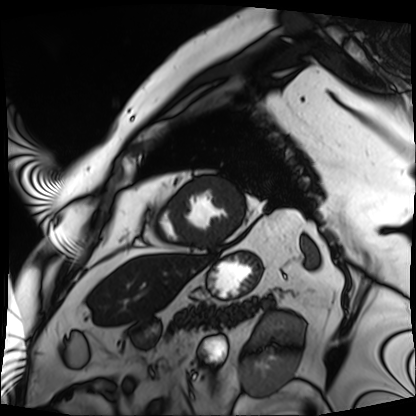
Cardiac MRI.
Subject group: patient.